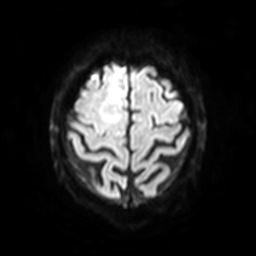
modality = 3 Tesla brain MRI
series = diffusion-weighted imaging with SENSE (WIP)
study = ring-enhancing brain masses